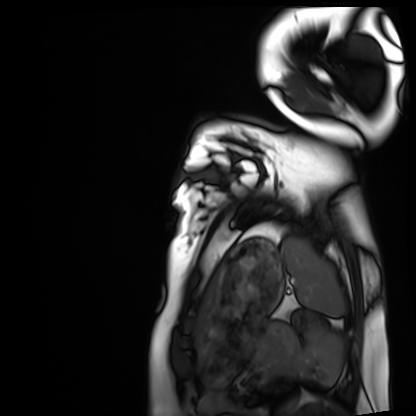
Cardiac MRI.
Subject group: healthy volunteer.